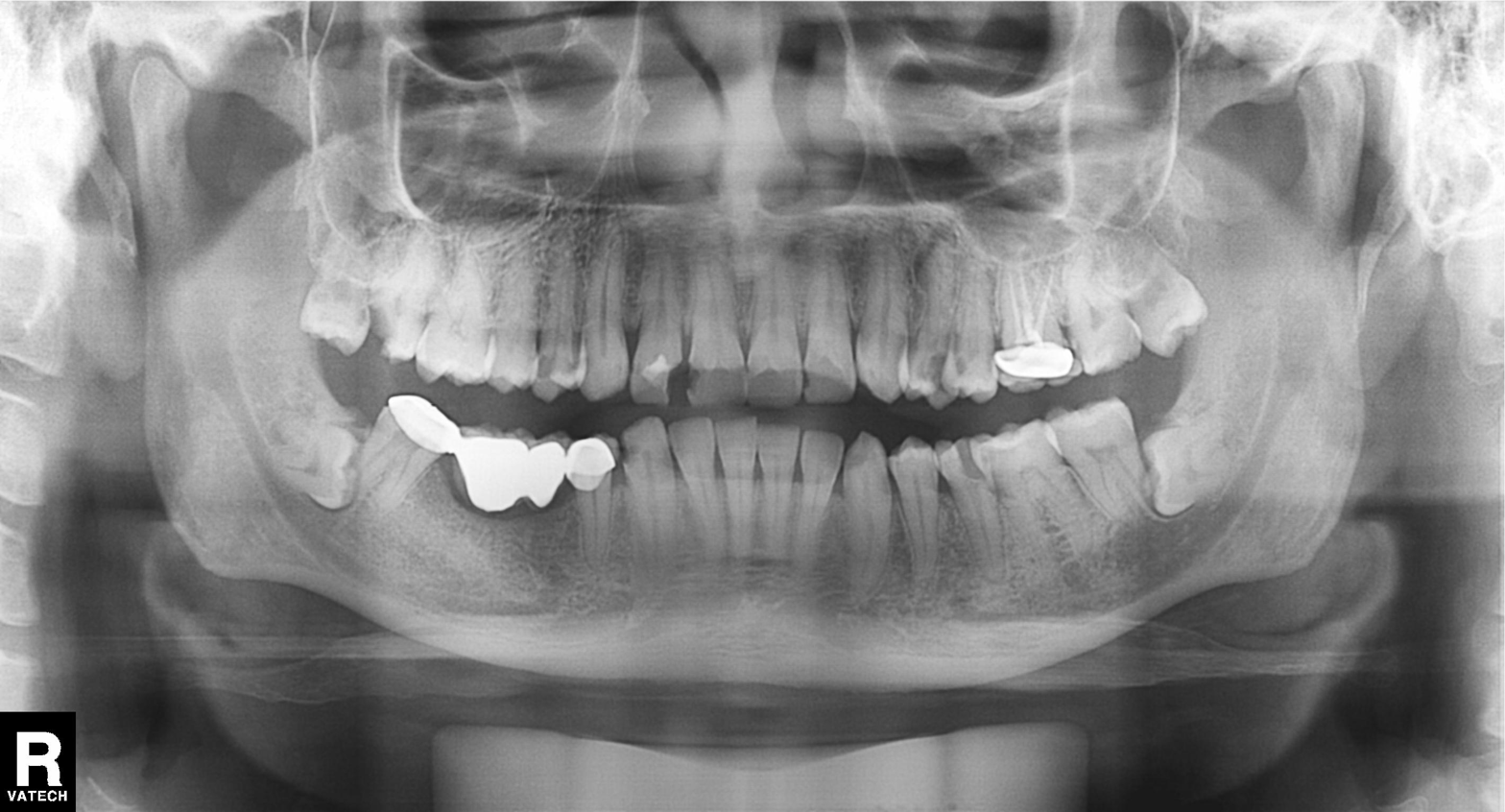
Panoramic dental radiograph (orthopantomogram). Finding: dental caries (cavities).